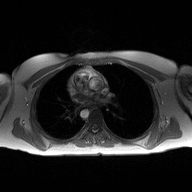
2D phase-contrast cine MRI of the ascending aorta, high-resolution GRAPPA acquisition.